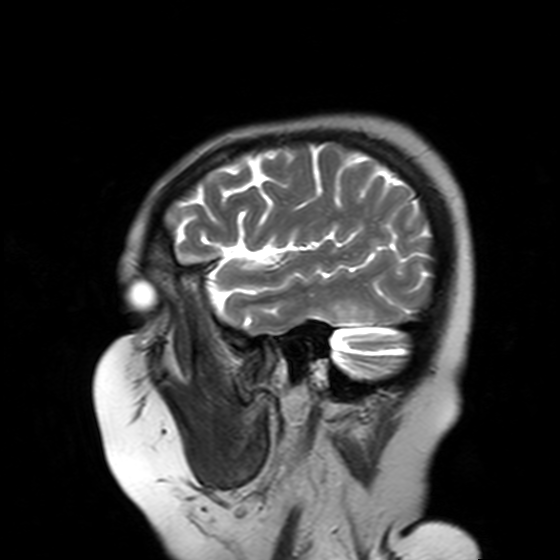
  modality:
    type: brain MRI
    field_strength: 3T
  series: T2-weighted turbo spin echo with SENSE
  study_topic: ring-enhancing brain masses